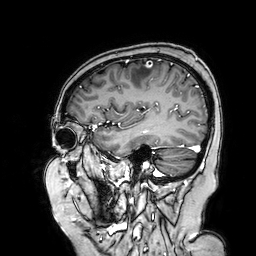
{"modality": {"type": "brain MRI", "field_strength": "3T"}, "series": "3D T1-weighted turbo field echo with SENSE", "study_topic": "ring-enhancing brain masses"}